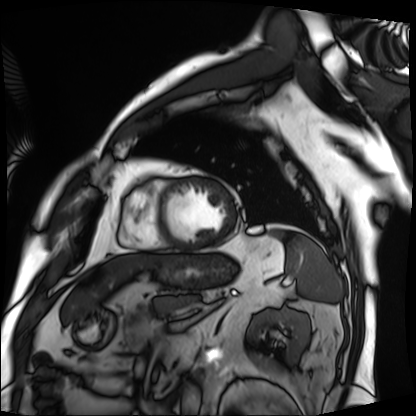
{"modality": "cardiac MRI", "cohort": "patient"}